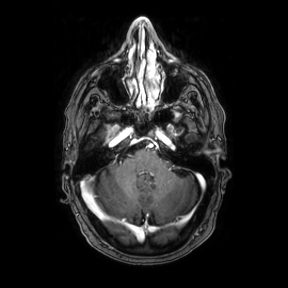
- modality · 3 Tesla brain MRI
- series · axial
- study · ring-enhancing brain masses